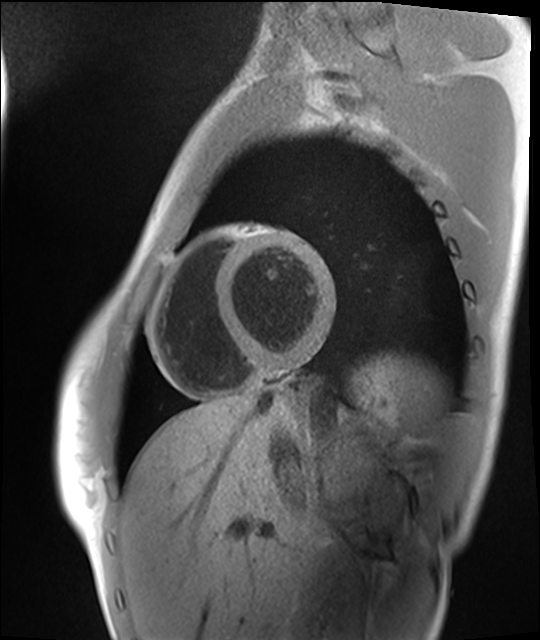
modality — cardiac MRI | subject group — healthy volunteer.